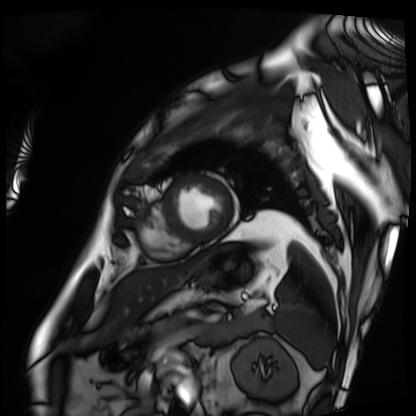
{
  "modality": "cardiac MRI",
  "cohort": "patient"
}